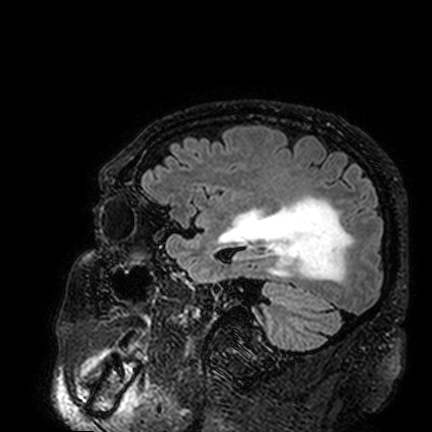
| field | value |
|---|---|
| modality | 3 Tesla brain MRI |
| series | FLAIR VISTA |
| study | ring-enhancing brain masses |